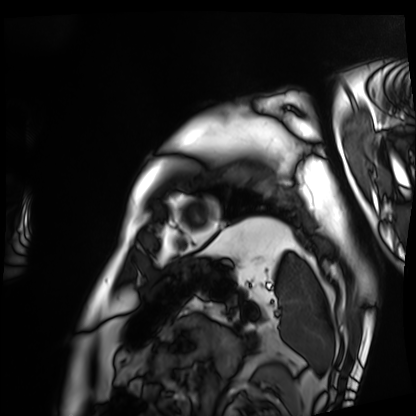
Case summary: Cardiac MRI. Subject group: patient.